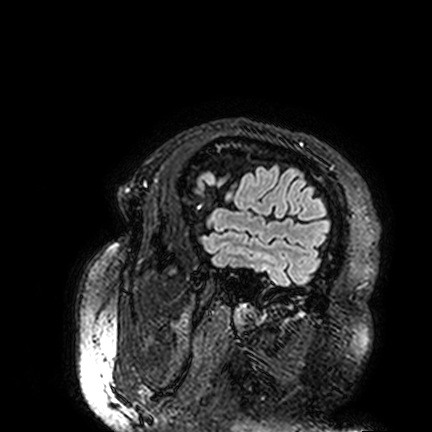
modality: 3 Tesla brain MRI; series: FLAIR VISTA; study: ring-enhancing brain masses.